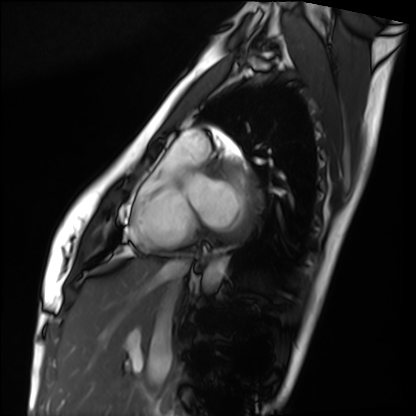
modality: cardiac MRI
subject group: healthy volunteer